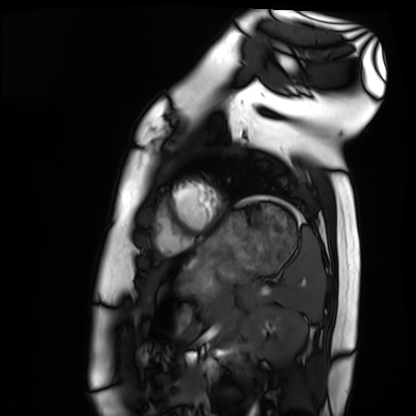
Q: What kind of scan is this?
A: Cardiac MRI.
Subject group: healthy volunteer.